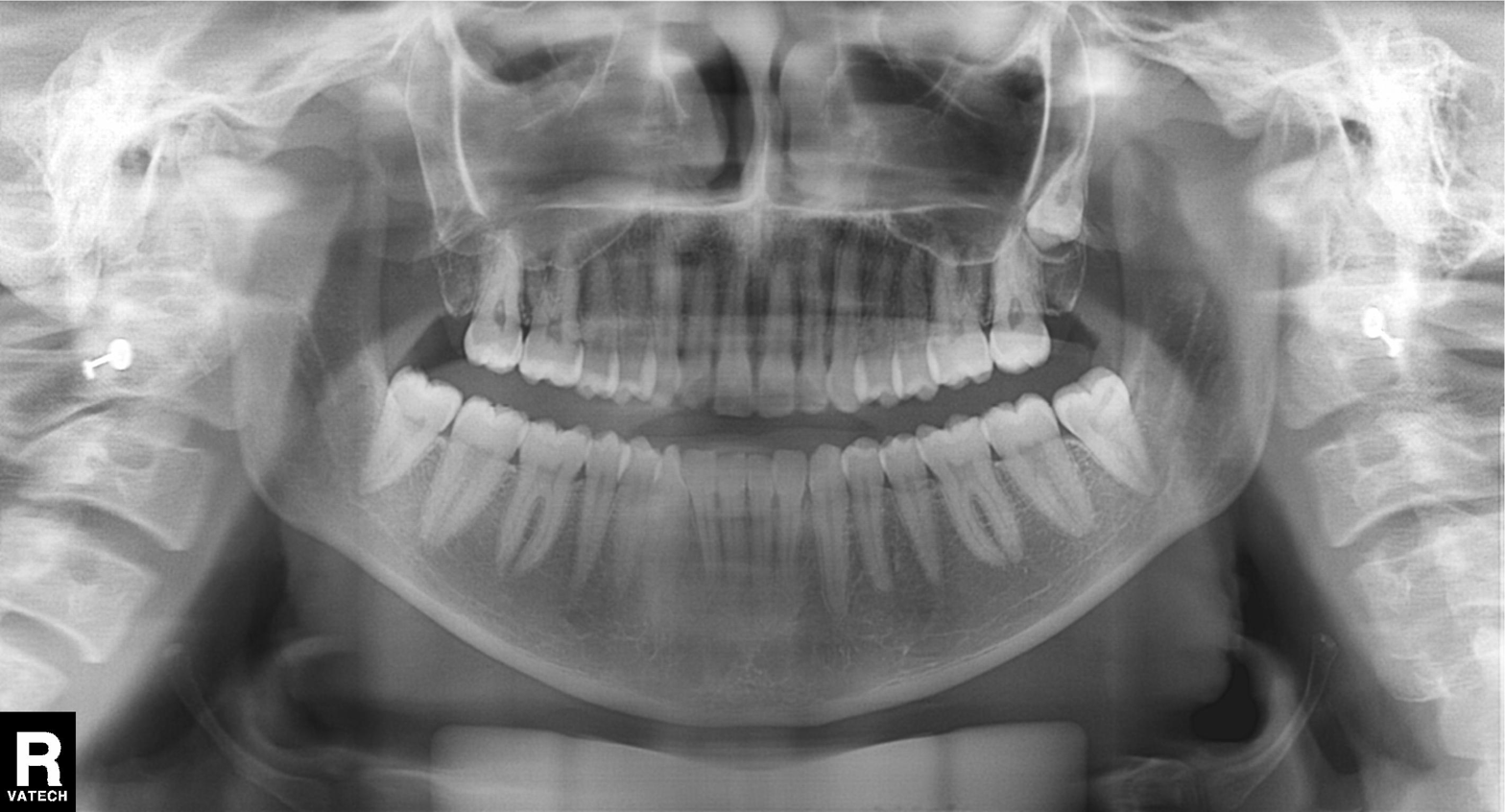
Q: What kind of scan is this?
A: Panoramic dental radiograph (orthopantomogram).
Q: What is the radiographic finding?
A: Alveolar bone loss.